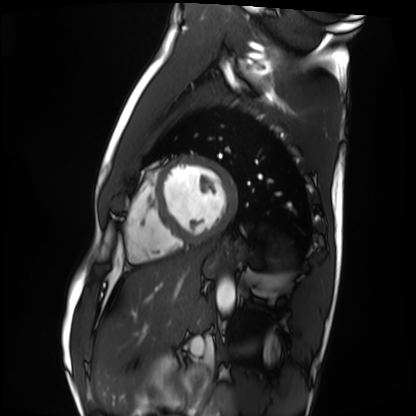
Summary:
Cardiac MRI. Subject group: healthy volunteer.